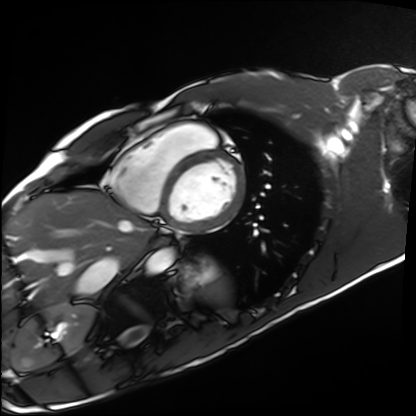
Q: What kind of scan is this?
A: Cardiac MRI.
Subject group: healthy volunteer.